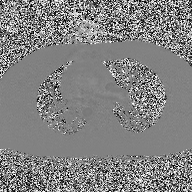
<record>
<modality>
  <type>2D phase-contrast cine MRI</type>
  <region>ascending aorta</region>
  <reconstruction>high-resolution GRAPPA acquisition</reconstruction>
</modality>
</record>